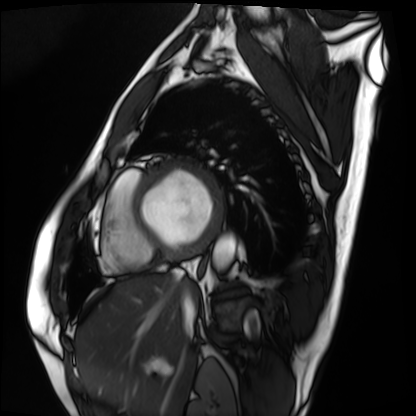
| field | value |
|---|---|
| modality | cardiac MRI |
| subject group | patient |